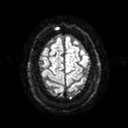
3 Tesla brain MRI. Series: diffusion tensor imaging (medium iso). Study: ring-enhancing brain masses.